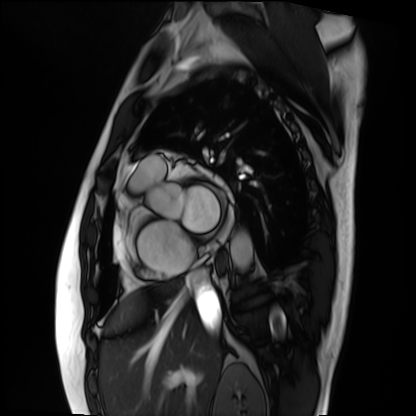
  modality: cardiac MRI
  cohort: patient